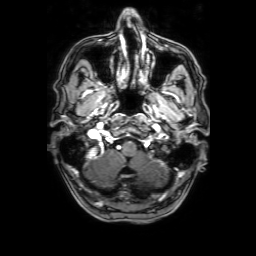
modality = 3 Tesla brain MRI; series = 3D T1-weighted with SENSE; study = ring-enhancing brain masses.